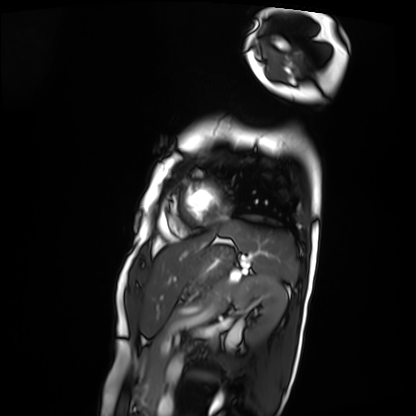
– modality · cardiac MRI
– subject group · patient